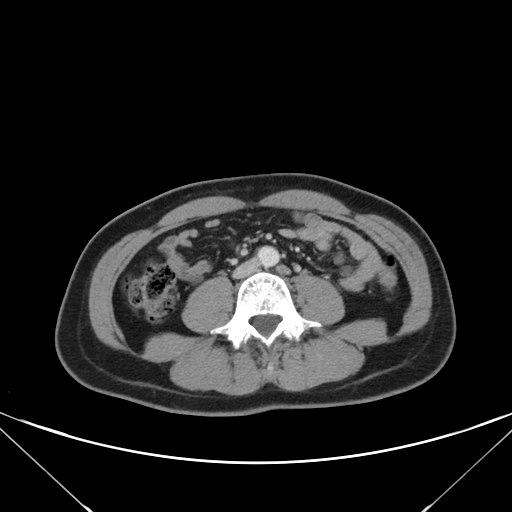
modality=multiphase abdominal CT, liver, portal venous phase
patient=female, age 43